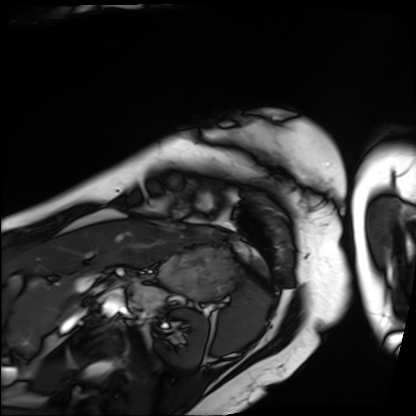
Cardiac MRI. Subject group: patient.